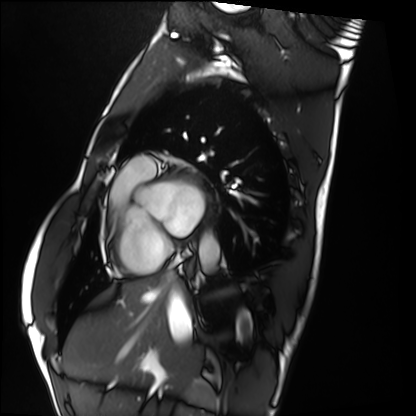
Cardiac MRI.
Subject group: healthy volunteer.